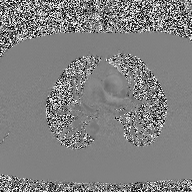
Q: What kind of scan is this?
A: 2D phase-contrast cine MRI of the ascending aorta.